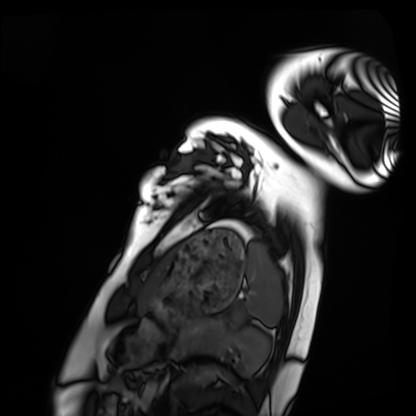
Q: What kind of scan is this?
A: Cardiac MRI.
Subject group: healthy volunteer.